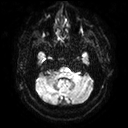
<case>
<modality>
  <type>brain MRI</type>
  <field_strength>3T</field_strength>
</modality>
<series>diffusion tensor imaging (medium iso)</series>
<study_topic>ring-enhancing brain masses</study_topic>
</case>